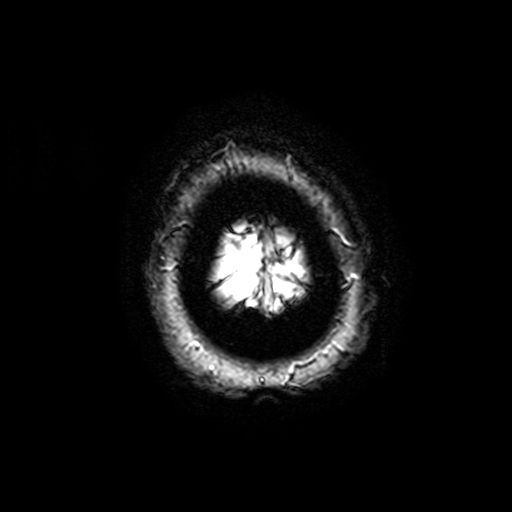
<record>
  <modality>
    <type>brain MRI</type>
    <field_strength>3T</field_strength>
  </modality>
  <series>T2-weighted fast field echo with SENSE</series>
  <study_topic>ring-enhancing brain masses</study_topic>
</record>